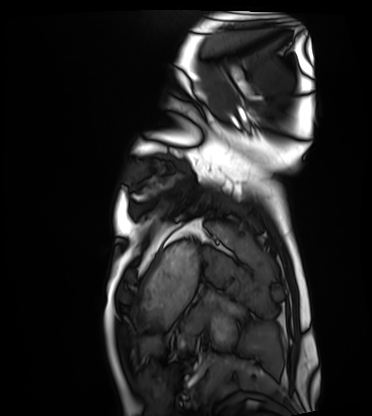
| field | value |
|---|---|
| modality | cardiac MRI |
| subject group | healthy volunteer |